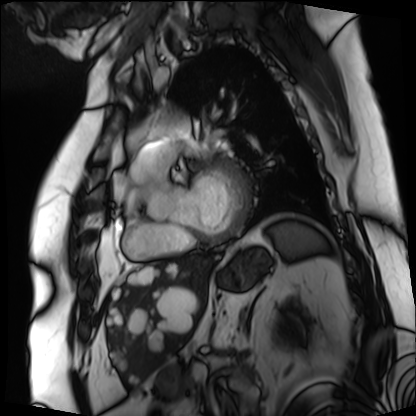
Cardiac MRI.
Subject group: patient.